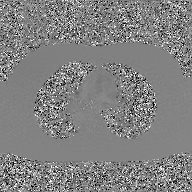
Clinical context:
2D phase-contrast cine MRI of the ascending aorta, GAN super-resolution reconstruction.